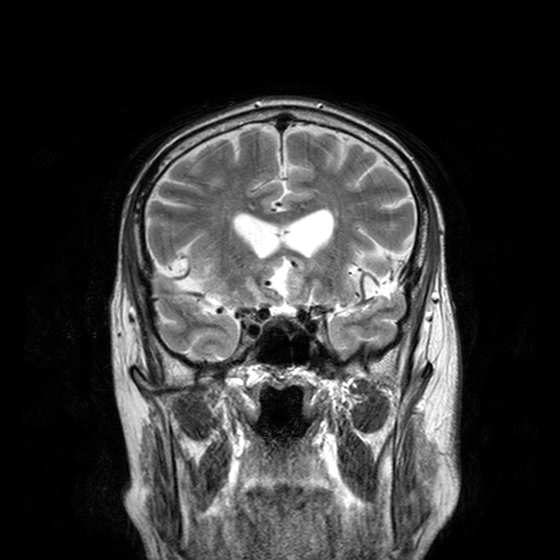
Clinical context:
3 Tesla brain MRI. Series: T2-weighted turbo spin echo with CLEAR. Study: ring-enhancing brain masses.